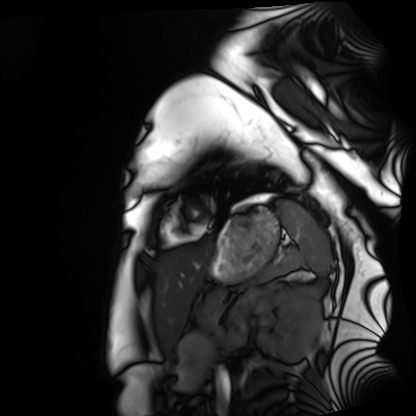
Case:
* modality · cardiac MRI
* subject group · healthy volunteer